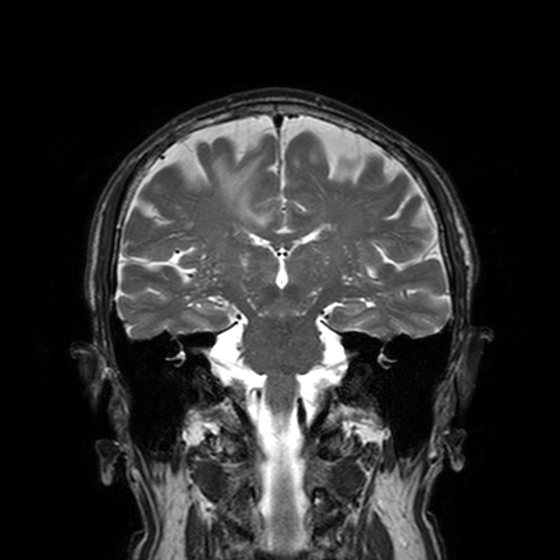
3 Tesla brain MRI.
Series: T2-weighted turbo spin echo, 3 mm.
Study: ring-enhancing brain masses.